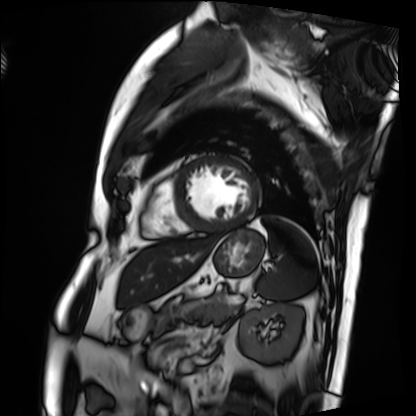
| field | value |
|---|---|
| modality | cardiac MRI |
| subject group | patient |